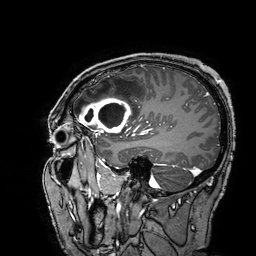
Summary:
3 Tesla brain MRI. Series: 3D T1-weighted turbo field echo with SENSE. Study: ring-enhancing brain masses.